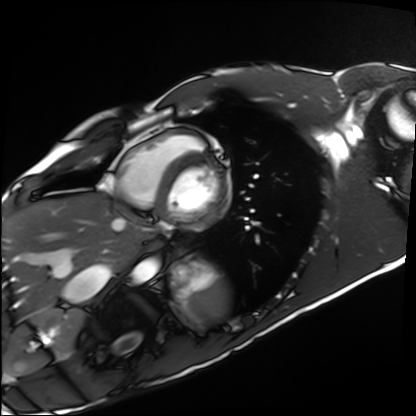
{"modality": "cardiac MRI", "cohort": "healthy volunteer"}